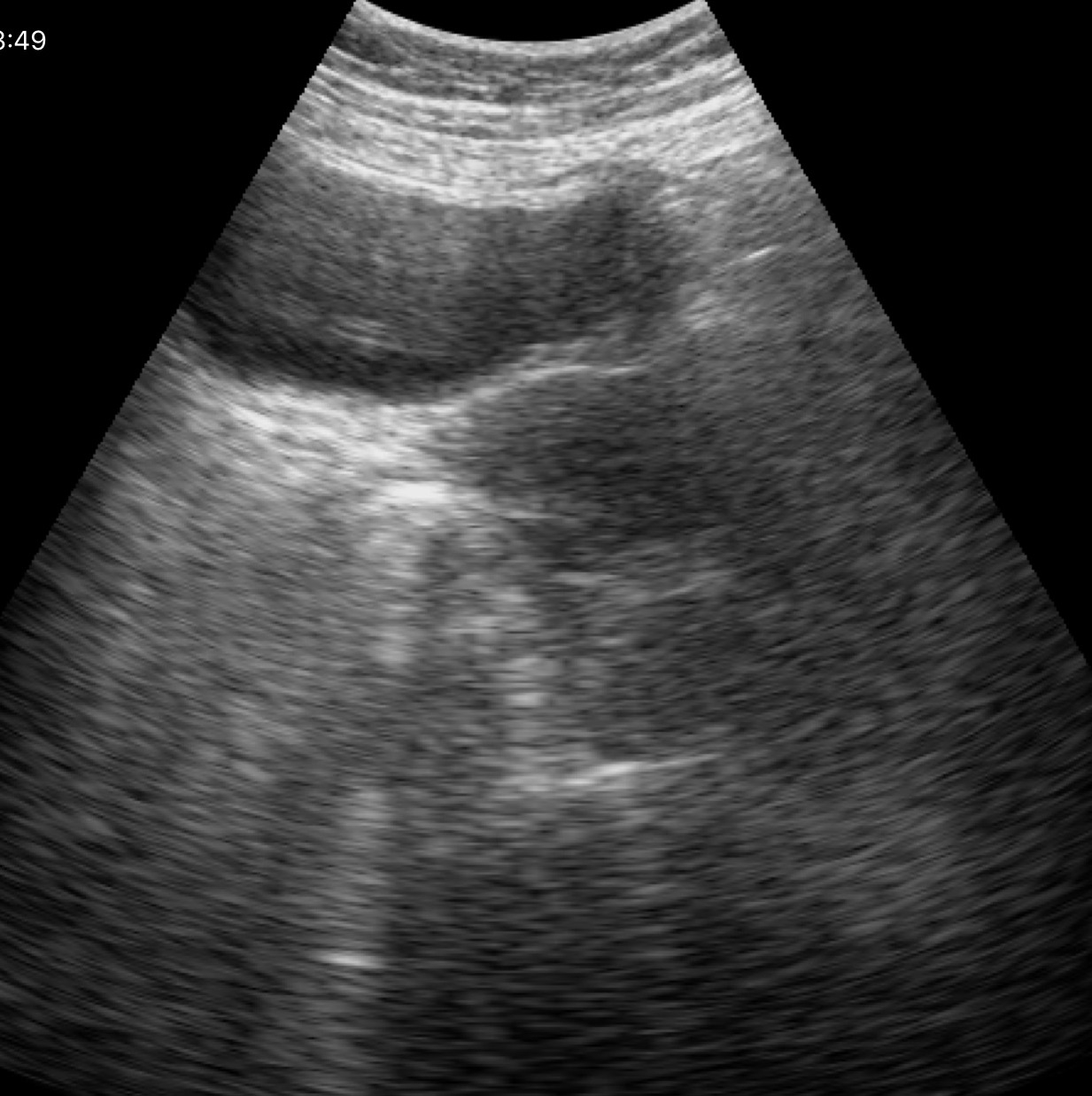
Genitourinary ultrasound.